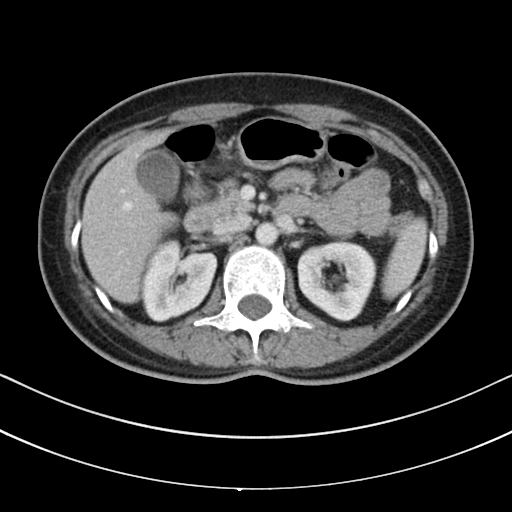
Multiphase abdominal CT, liver, portal venous phase.